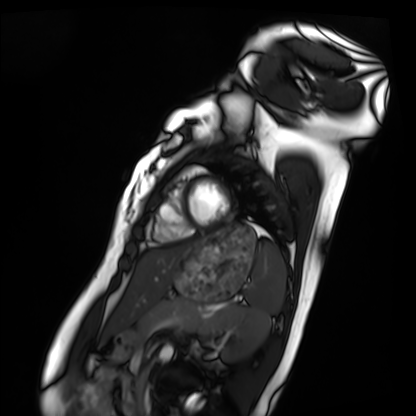
| field | value |
|---|---|
| modality | cardiac MRI |
| subject group | healthy volunteer |